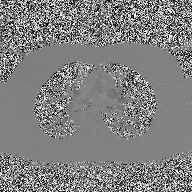
2D phase-contrast cine MRI of the ascending aorta, high-resolution GRAPPA acquisition.